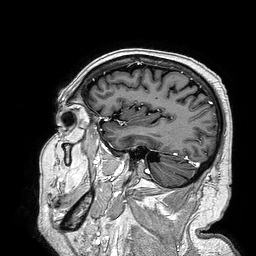
Case:
- modality — 3 Tesla brain MRI
- series — 3D T1-weighted turbo field echo
- study — ring-enhancing brain masses